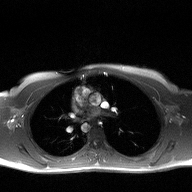
2D phase-contrast cine MRI of the ascending aorta, high-resolution GRAPPA acquisition.